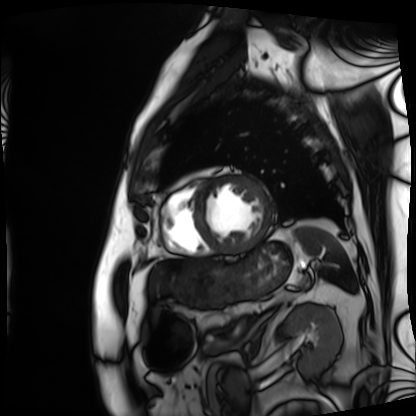
modality = cardiac MRI, subject group = patient.